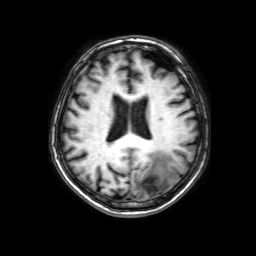
Summary: 3 Tesla brain MRI. Series: 3D T1-weighted with SENSE. Study: ring-enhancing brain masses.